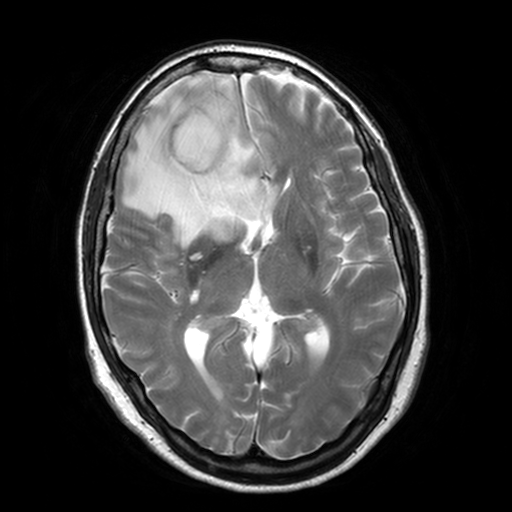
| field | value |
|---|---|
| modality | 3 Tesla brain MRI |
| series | T2-weighted turbo spin echo, 3 mm |
| study | ring-enhancing brain masses |